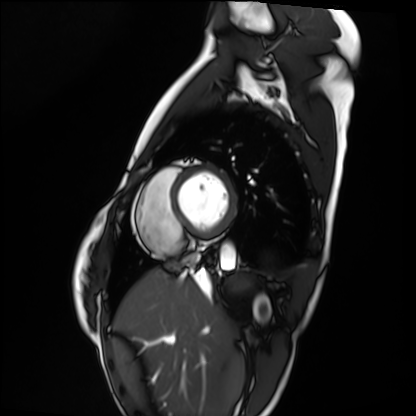
Summary:
Cardiac MRI. Subject group: healthy volunteer.